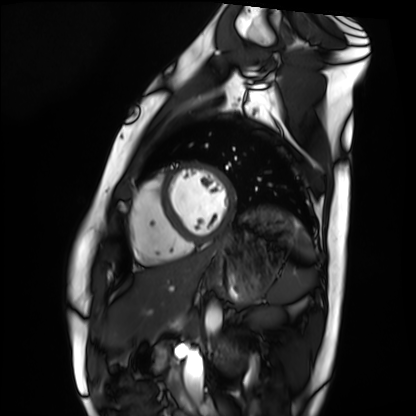
Cardiac MRI. Subject group: healthy volunteer.